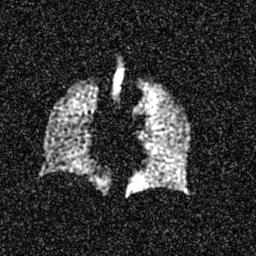
Hyperpolarized 129Xe ventilation MRI of the lungs.
SNR level 6 of 8 (the deposit holds this scan as its native image and as seven SNR-degraded versions).